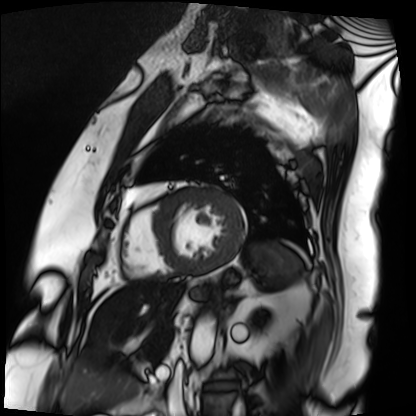
Cardiac MRI. Subject group: patient.